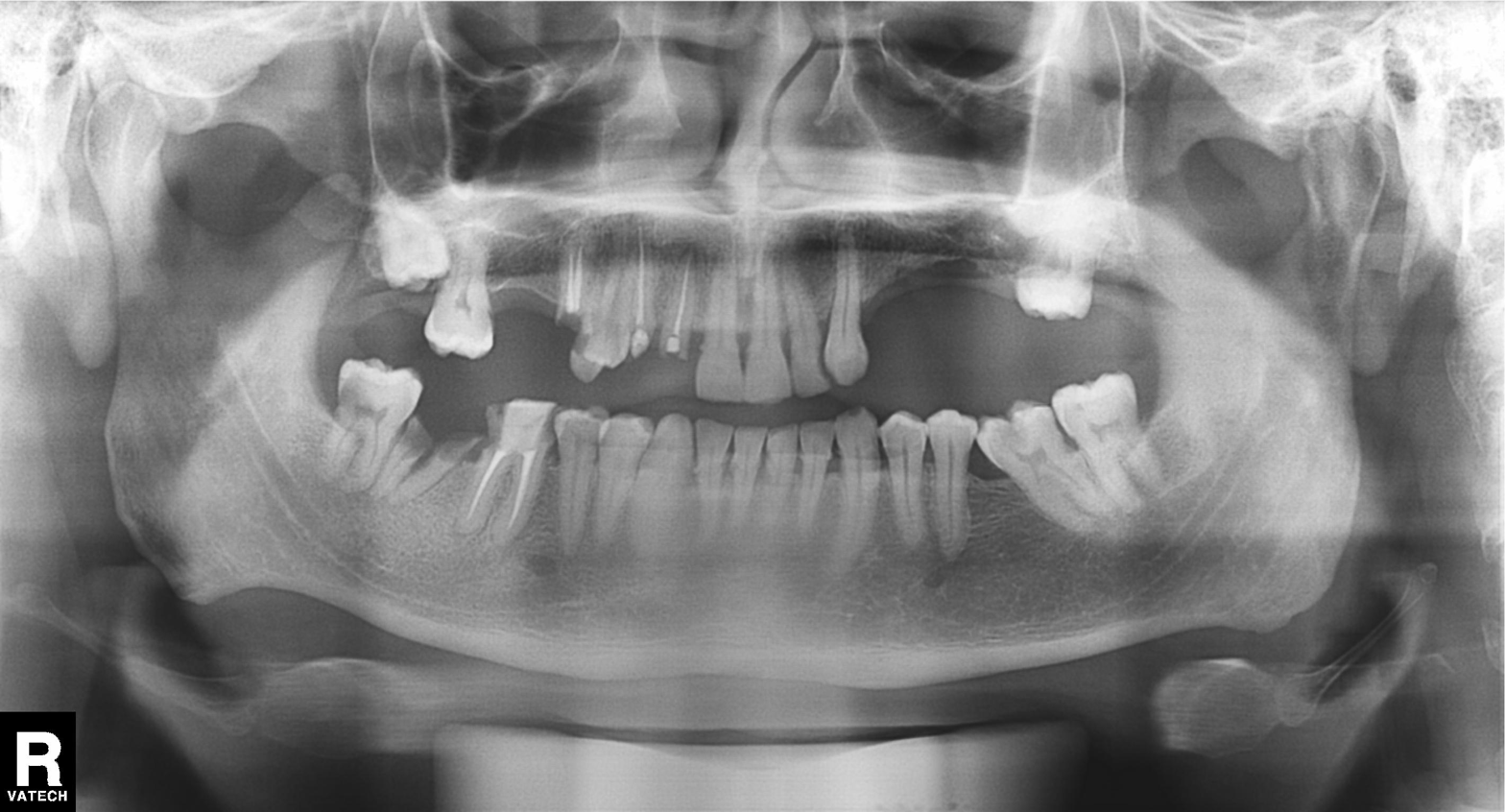
* modality — panoramic dental radiograph (orthopantomogram)
* finding — alveolar bone loss